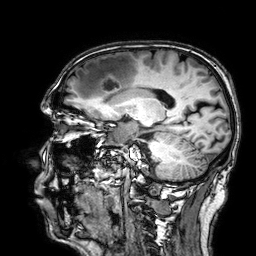
Case:
- modality · 3 Tesla brain MRI
- series · 3D T1-weighted
- study · ring-enhancing brain masses